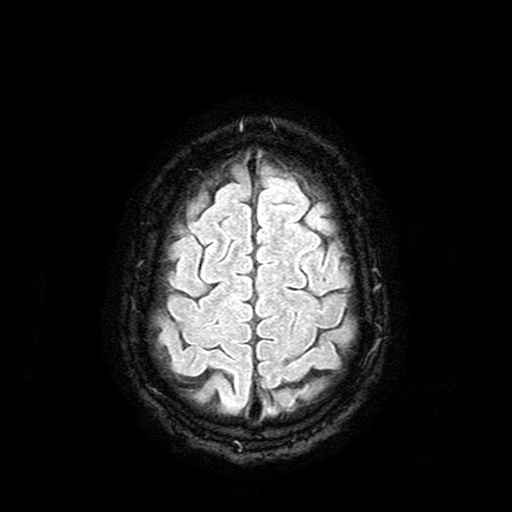
| field | value |
|---|---|
| modality | 3 Tesla brain MRI |
| series | FLAIR with SPAIR |
| study | ring-enhancing brain masses |